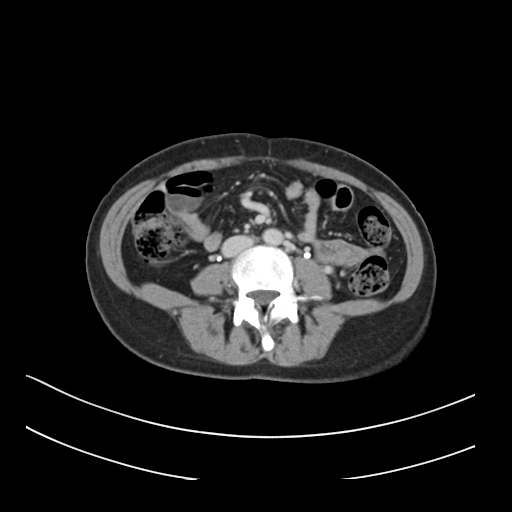
Multiphase abdominal CT, liver, delayed phase.
Patient: female, age 34.
History: prior chemotherapy.